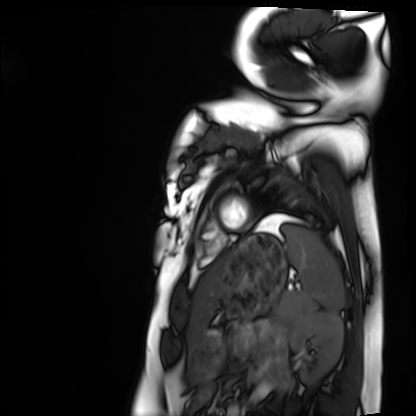
modality: cardiac MRI, subject group: healthy volunteer.